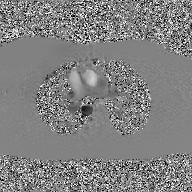
modality: 2D phase-contrast cine MRI of the ascending aorta, GAN super-resolution reconstruction.